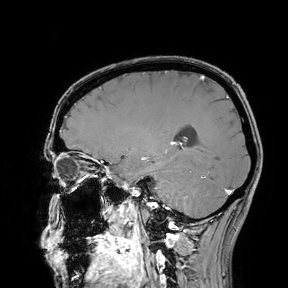
modality: 3 Tesla brain MRI; study: ring-enhancing brain masses.